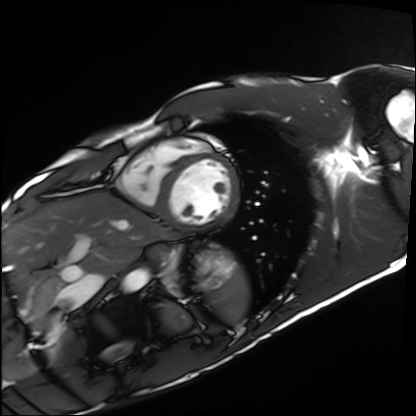
modality: cardiac MRI | subject group: healthy volunteer.